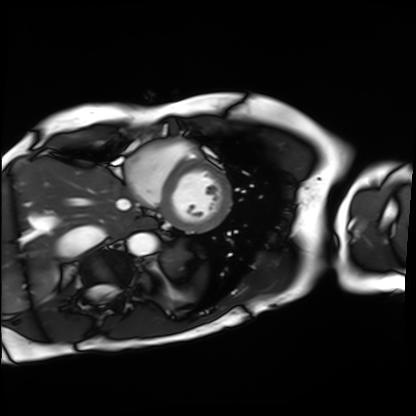
{
  "modality": "cardiac MRI",
  "cohort": "patient"
}